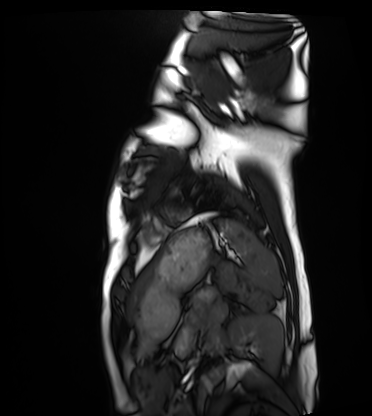
Case summary: Cardiac MRI. Subject group: healthy volunteer.